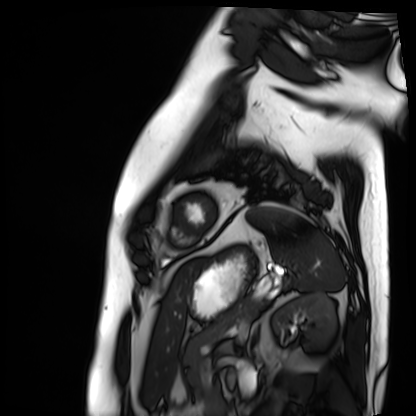
Clinical context: Cardiac MRI. Subject group: patient.